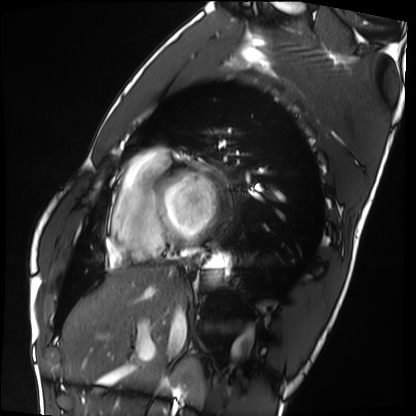
Cardiac MRI. Subject group: healthy volunteer.